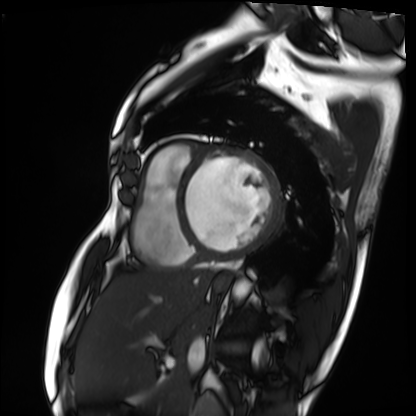
modality: cardiac MRI
subject group: patient